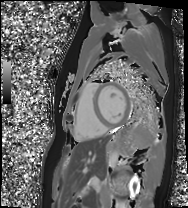
Cardiac MRI.
Subject group: healthy volunteer.